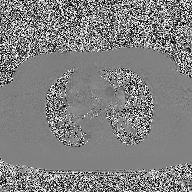
2D phase-contrast cine MRI of the ascending aorta, high-resolution GRAPPA acquisition.